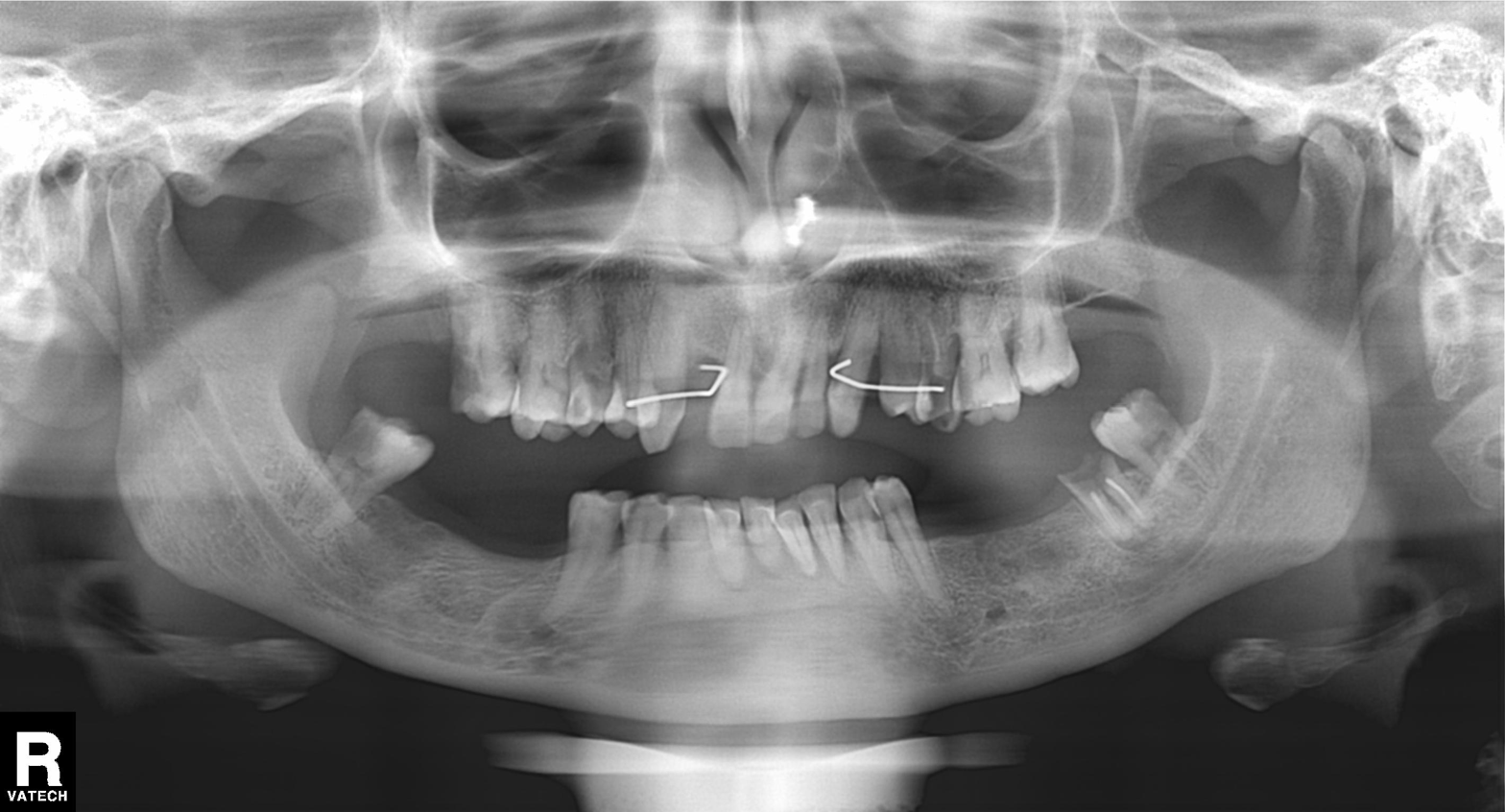
<case>
  <modality>panoramic dental radiograph (orthopantomogram)</modality>
  <finding>tooth impaction</finding>
</case>